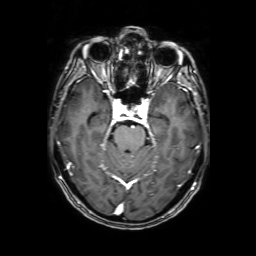
modality = 3 Tesla brain MRI; series = 3D T1-weighted with SENSE; study = ring-enhancing brain masses.